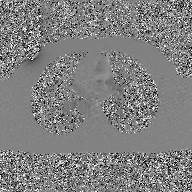
modality: 2D phase-contrast cine MRI of the ascending aorta, GAN super-resolution reconstruction.